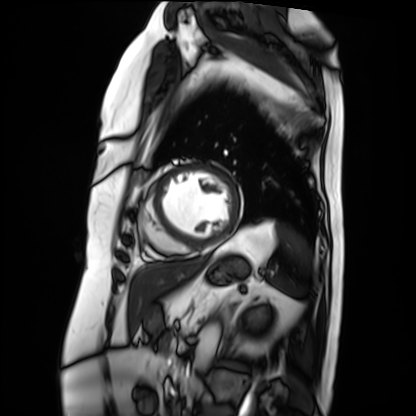
Cardiac MRI. Subject group: patient.